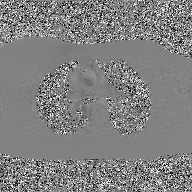
Clinical context:
2D phase-contrast cine MRI of the ascending aorta, GAN super-resolution reconstruction.